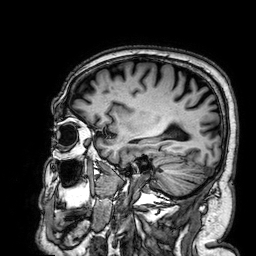
3 Tesla brain MRI.
Series: 3D T1-weighted.
Study: ring-enhancing brain masses.